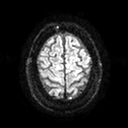
<scan>
  <modality>
    <type>brain MRI</type>
    <field_strength>3T</field_strength>
  </modality>
  <series>diffusion tensor imaging (medium iso)</series>
  <study_topic>ring-enhancing brain masses</study_topic>
</scan>